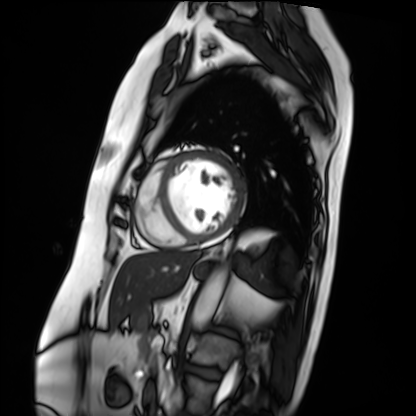
Q: What kind of scan is this?
A: Cardiac MRI.
Subject group: patient.